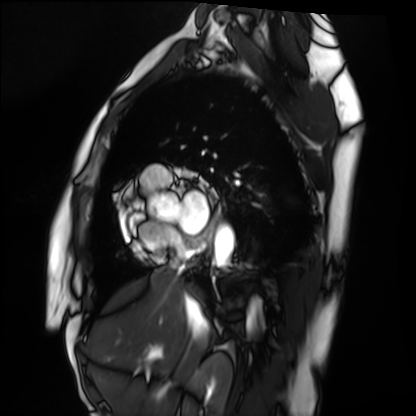
modality: cardiac MRI | subject group: healthy volunteer.